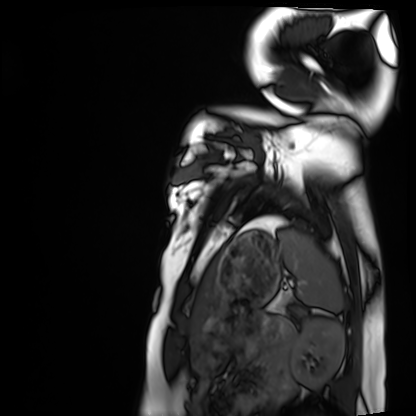
* modality · cardiac MRI
* subject group · healthy volunteer